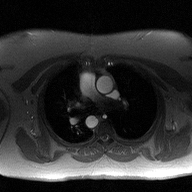
- modality: 2D phase-contrast cine MRI of the ascending aorta